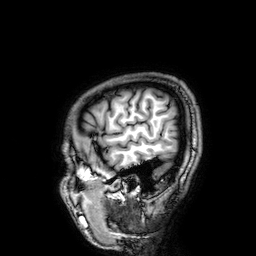
3 Tesla brain MRI.
Series: 3D T1-weighted.
Study: ring-enhancing brain masses.